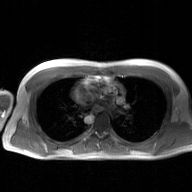
2D phase-contrast cine MRI of the ascending aorta, GAN super-resolution reconstruction.